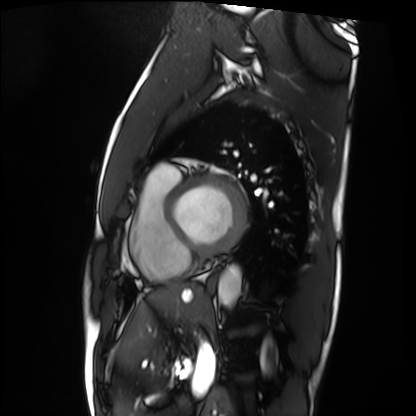
Cardiac MRI. Subject group: patient.